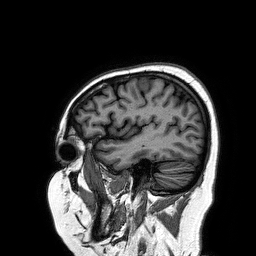
  modality:
    type: brain MRI
    field_strength: 3T
  series: 3D T1-weighted turbo field echo
  study_topic: ring-enhancing brain masses